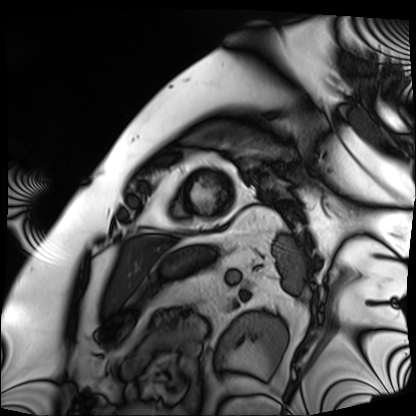
modality = cardiac MRI
subject group = patient